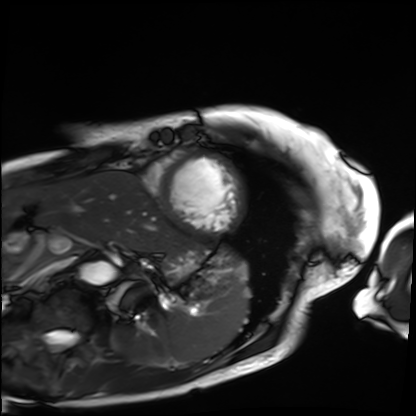
modality: cardiac MRI
cohort: patient